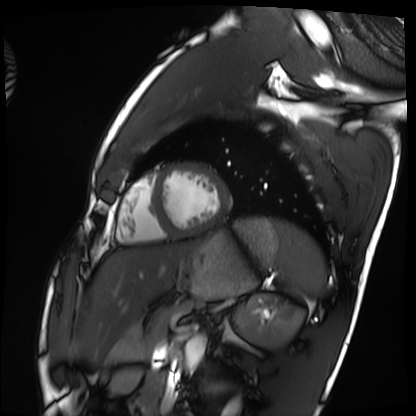
Cardiac MRI.
Subject group: healthy volunteer.